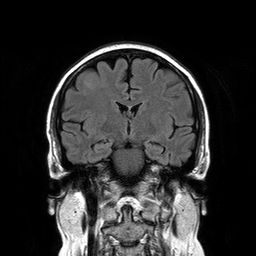
Q: What kind of scan is this?
A: 3 Tesla brain MRI.
Q: Series?
A: T2-weighted FLAIR.
Study: ring-enhancing brain masses.